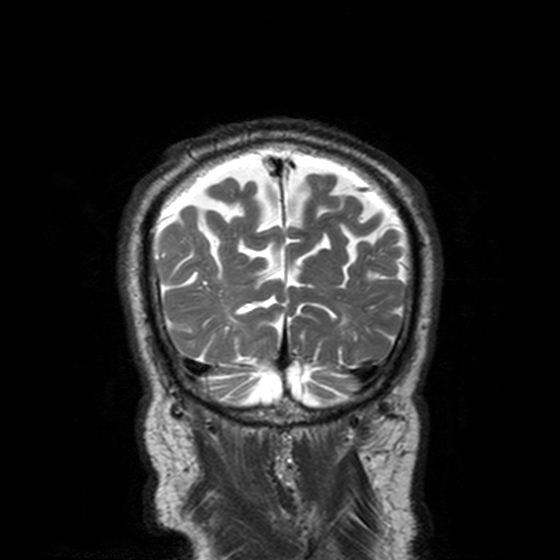
3 Tesla brain MRI. Series: T2-weighted turbo spin echo, 3 mm. Study: ring-enhancing brain masses.